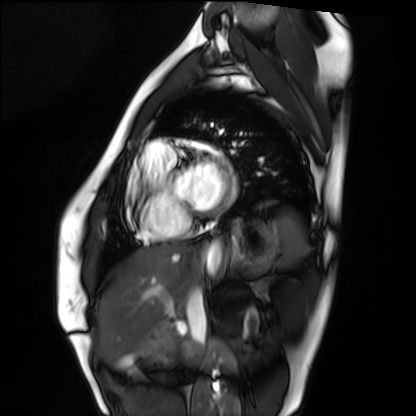
Clinical context: Cardiac MRI. Subject group: healthy volunteer.